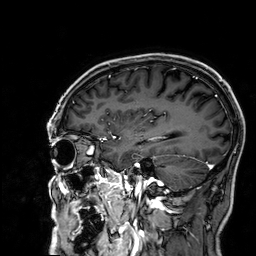
3 Tesla brain MRI.
Series: 3D T1-weighted.
Study: ring-enhancing brain masses.